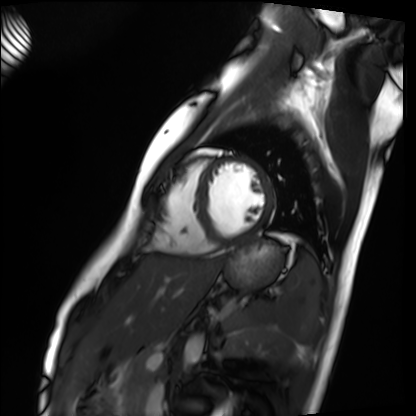
modality = cardiac MRI
subject group = healthy volunteer